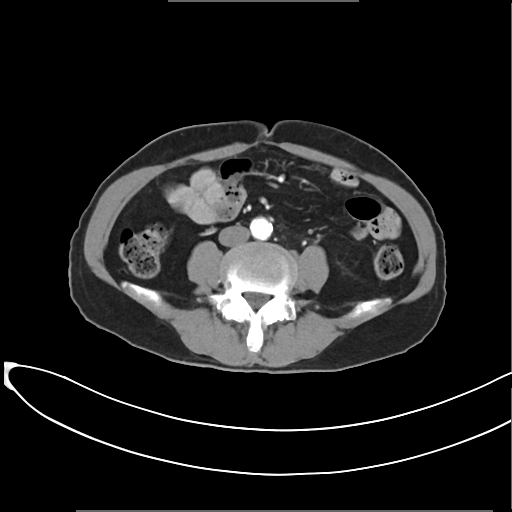
– modality: multiphase abdominal CT, liver, arterial phase
– patient: female, age 65
– history: prior chemotherapy